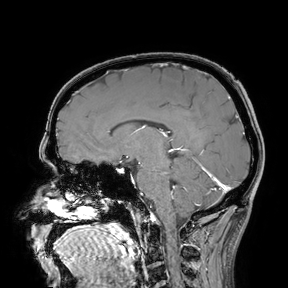
{"modality": {"type": "brain MRI", "field_strength": "3T"}, "study_topic": "ring-enhancing brain masses"}